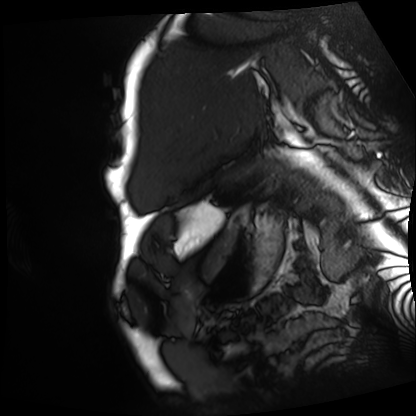
Cardiac MRI. Subject group: patient.